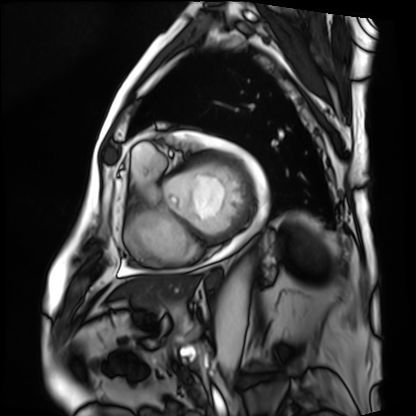
Cardiac MRI. Subject group: patient.